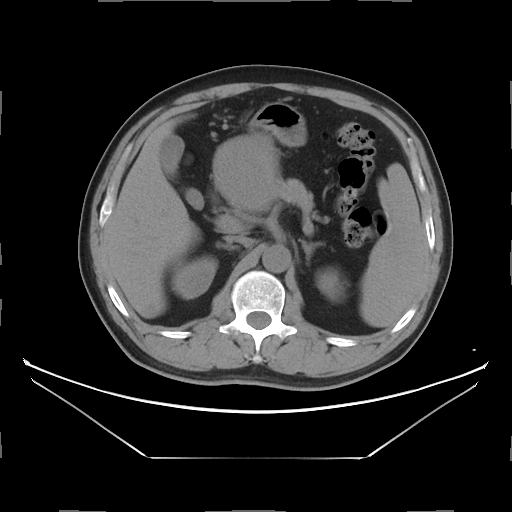
modality:
  type: multiphase abdominal CT
  region: liver
  phase: non-contrast
patient:
  sex: male
  age: 47